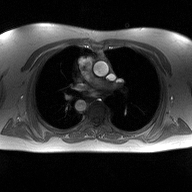
- modality — 2D phase-contrast cine MRI of the ascending aorta